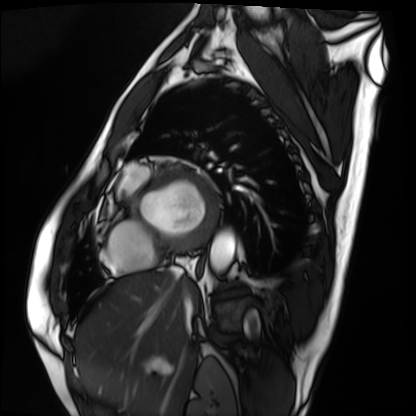
- modality — cardiac MRI
- subject group — patient